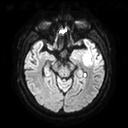
• modality — 3 Tesla brain MRI
• series — diffusion tensor imaging (medium iso)
• study — ring-enhancing brain masses